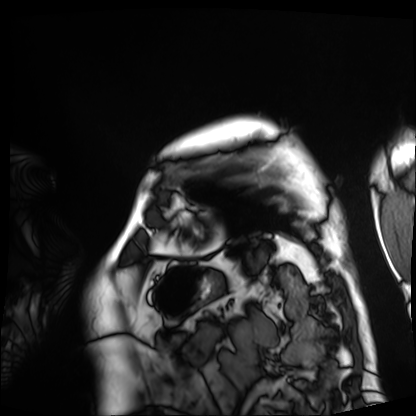
modality: cardiac MRI; subject group: patient.